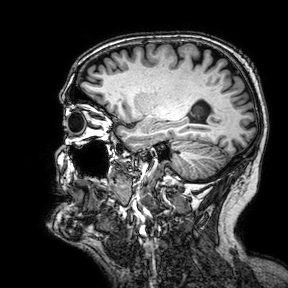
Clinical context:
3 Tesla brain MRI. Series: 3D T1-weighted turbo field echo with SENSE. Study: ring-enhancing brain masses.